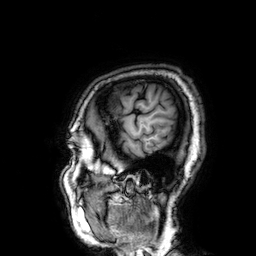
modality = 3 Tesla brain MRI | series = 3D T1-weighted | study = ring-enhancing brain masses.